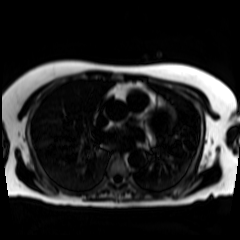
<record>
<modality>chemical-shift-encoded cardiac MRI</modality>
</record>